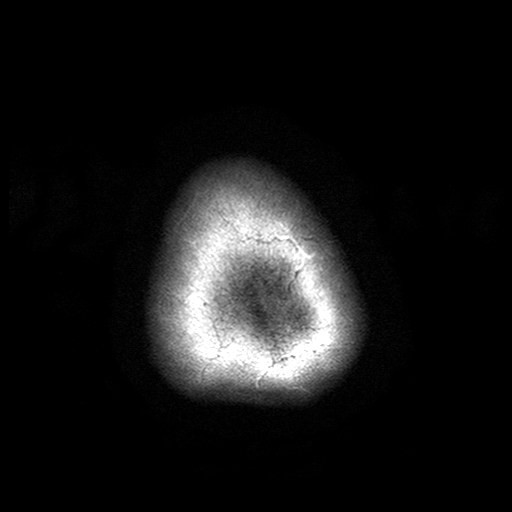
Clinical context:
3 Tesla brain MRI. Series: T2-weighted turbo spin echo with SENSE. Study: ring-enhancing brain masses.